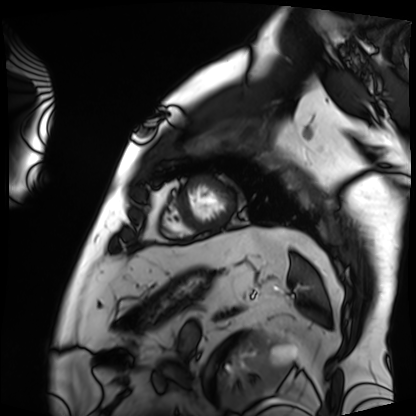
Cardiac MRI.
Subject group: patient.